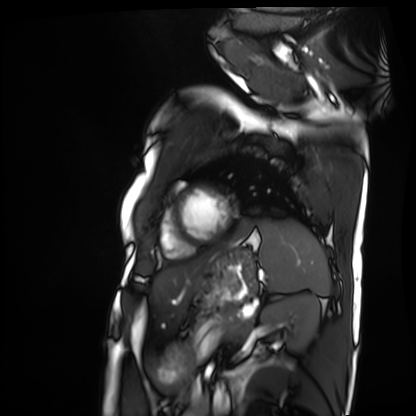
{"modality": "cardiac MRI", "cohort": "patient"}